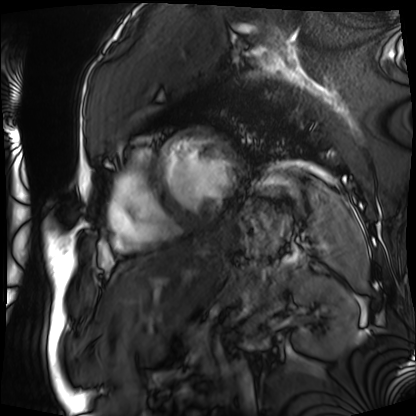
• modality: cardiac MRI
• subject group: patient